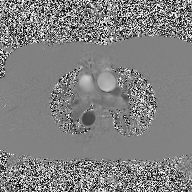
Summary: 2D phase-contrast cine MRI of the ascending aorta, high-resolution GRAPPA acquisition.